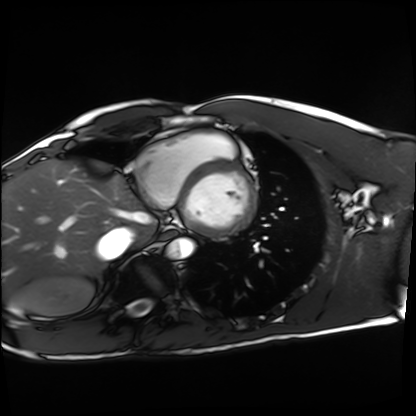
Clinical context: Cardiac MRI. Subject group: healthy volunteer.